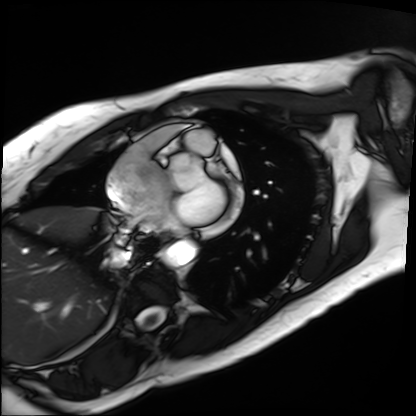
Cardiac MRI. Subject group: patient.